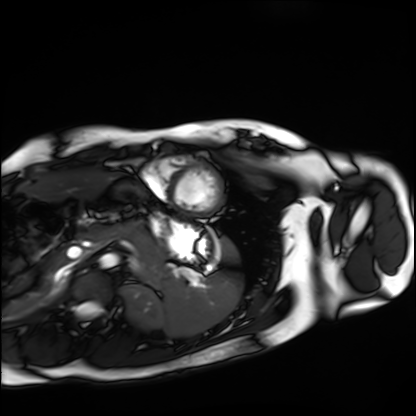
Cardiac MRI. Subject group: healthy volunteer.